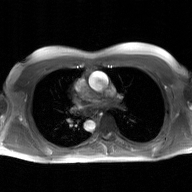
modality: 2D phase-contrast cine MRI of the ascending aorta, GAN super-resolution reconstruction.